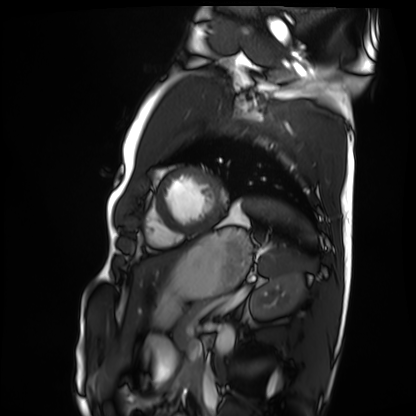
Q: What kind of scan is this?
A: Cardiac MRI.
Subject group: healthy volunteer.